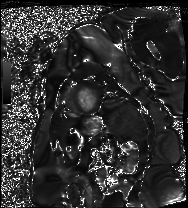
Clinical context:
Cardiac MRI. Subject group: patient.